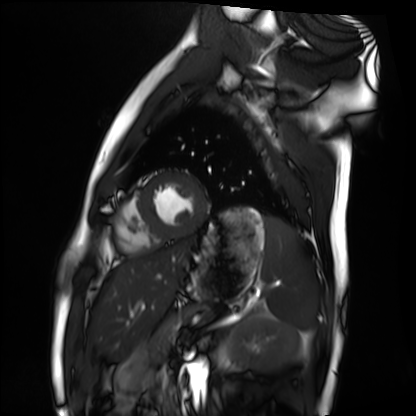
Cardiac MRI.
Subject group: healthy volunteer.